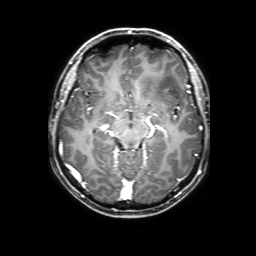
modality: 3 Tesla brain MRI; series: 3D T1-weighted with SENSE; study: ring-enhancing brain masses.